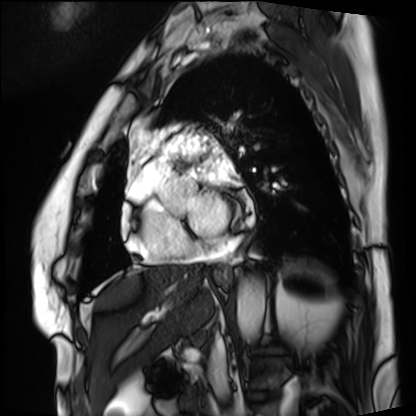
Cardiac MRI. Subject group: patient.